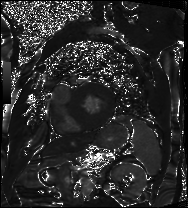
Cardiac MRI. Subject group: patient.